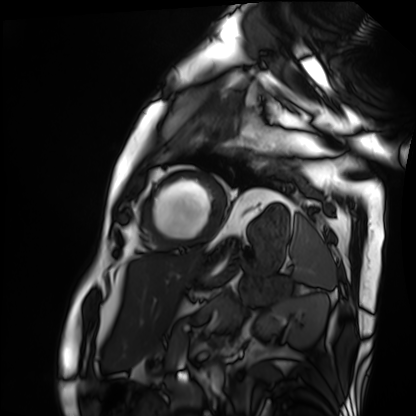
modality = cardiac MRI
subject group = patient